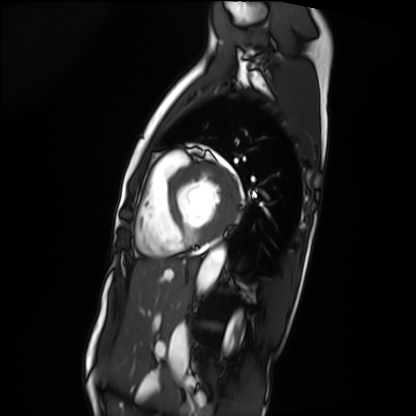
Case summary:
Cardiac MRI. Subject group: patient.